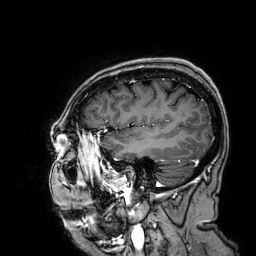
Summary: 3 Tesla brain MRI. Series: 3D T1-weighted. Study: ring-enhancing brain masses.